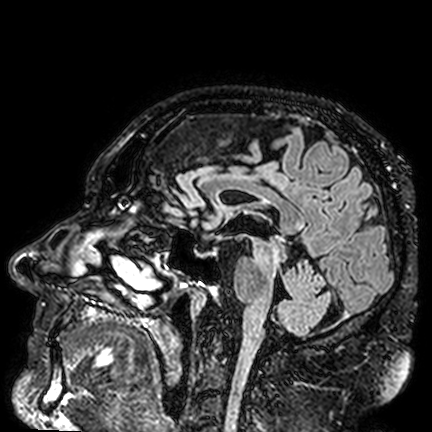
Case:
– modality · 3 Tesla brain MRI
– study · ring-enhancing brain masses